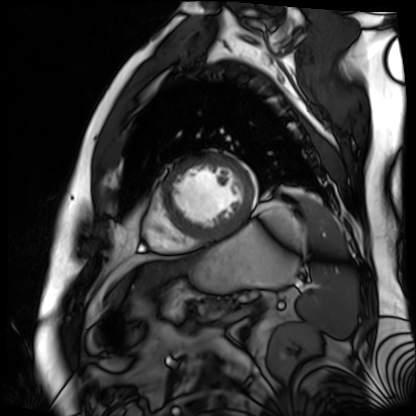
modality: cardiac MR image of the myocardium; subject cohort: cardiac patient.